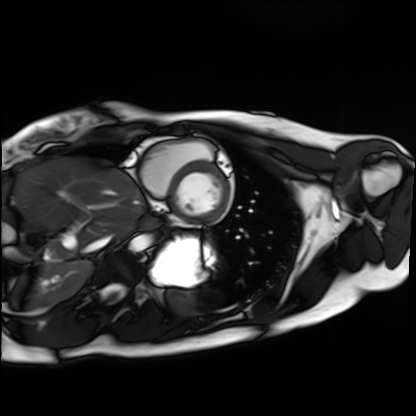
<record>
  <modality>cardiac MRI</modality>
  <cohort>healthy volunteer</cohort>
</record>